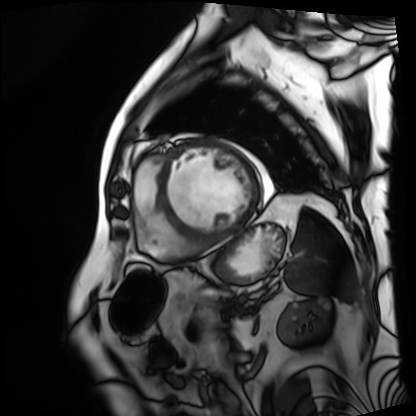
Q: What kind of scan is this?
A: Cardiac MRI.
Subject group: patient.